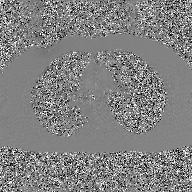
{"modality": {"type": "2D phase-contrast cine MRI", "region": "ascending aorta", "reconstruction": "GAN super-resolution reconstruction"}}